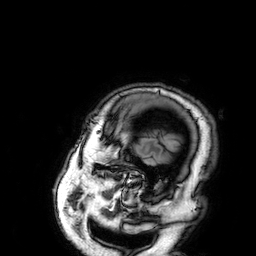
3 Tesla brain MRI. Series: 3D T1-weighted. Study: ring-enhancing brain masses.